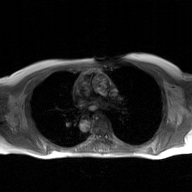
{"modality": {"type": "2D phase-contrast cine MRI", "region": "ascending aorta", "reconstruction": "GAN super-resolution reconstruction"}}